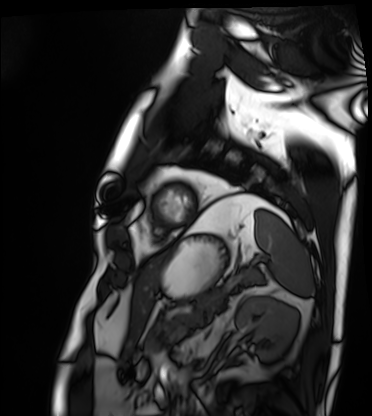
* modality — cardiac MRI
* subject group — patient